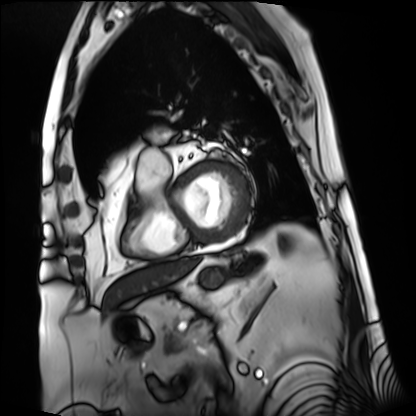
Clinical context: Cardiac MRI. Subject group: patient.